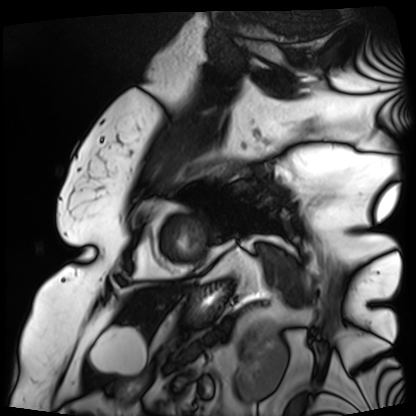
{
  "modality": "cardiac MRI",
  "cohort": "patient"
}